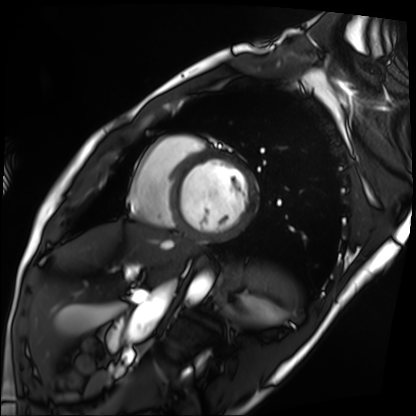
* modality · cardiac MRI
* subject group · patient